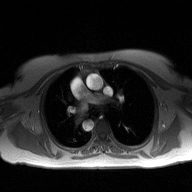
modality = 2D phase-contrast cine MRI of the ascending aorta.